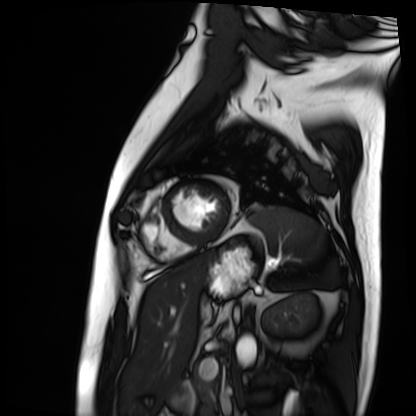
Cardiac MRI. Subject group: patient.